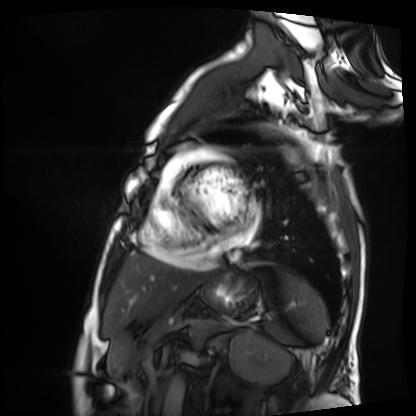
  modality: cardiac MRI
  cohort: patient